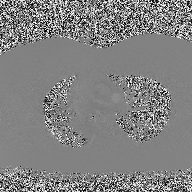
2D phase-contrast cine MRI of the ascending aorta, high-resolution GRAPPA acquisition.